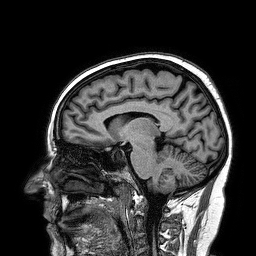
3 Tesla brain MRI.
Series: 3D T1-weighted turbo field echo.
Study: ring-enhancing brain masses.